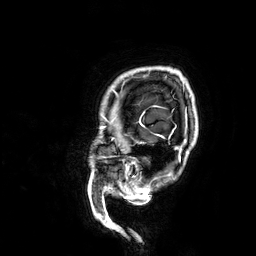
modality: 3 Tesla brain MRI
series: 3D T1-weighted
study: ring-enhancing brain masses